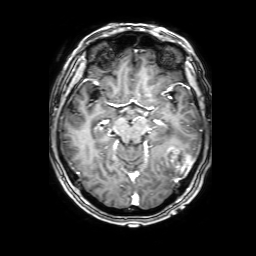
Summary:
3 Tesla brain MRI. Series: 3D T1-weighted with SENSE. Study: ring-enhancing brain masses.